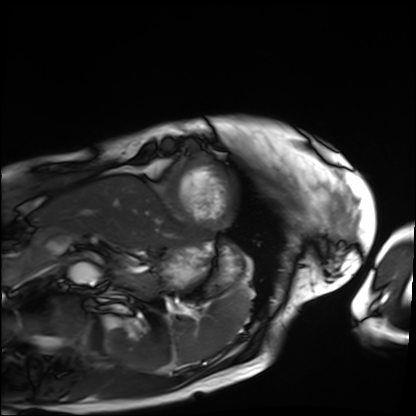
modality = cardiac MRI, subject group = patient.